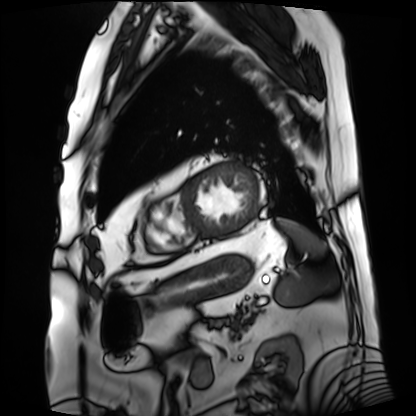
Cardiac MRI. Subject group: patient.